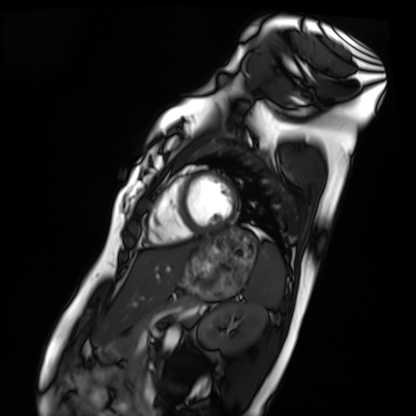
Cardiac MRI. Subject group: healthy volunteer.